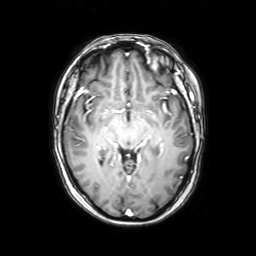
Summary: 3 Tesla brain MRI. Series: axial with contrast. Study: ring-enhancing brain masses.